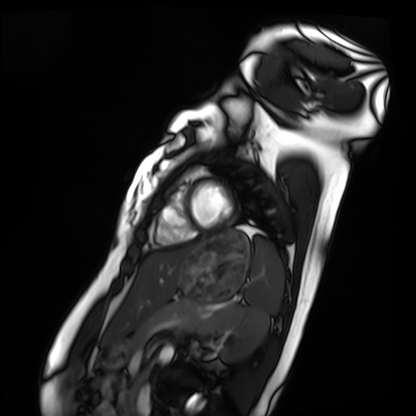
Cardiac MRI.
Subject group: healthy volunteer.